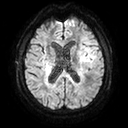
{"modality": {"type": "brain MRI", "field_strength": "3T"}, "series": "diffusion tensor imaging (medium iso)", "study_topic": "ring-enhancing brain masses"}